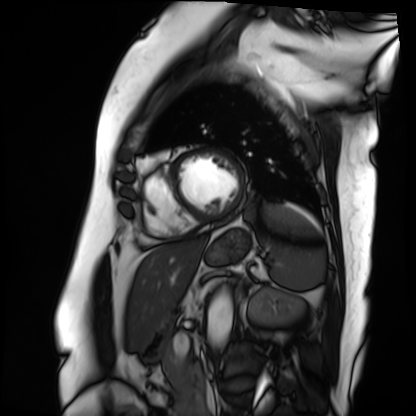
Case:
• modality: cardiac MRI
• subject group: patient